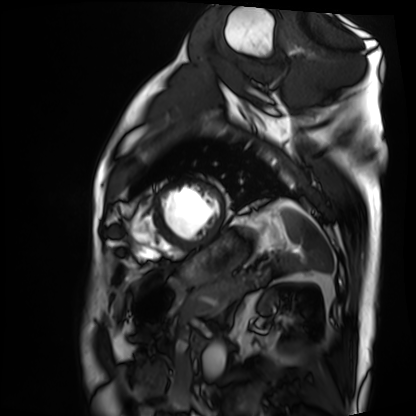
Case summary: Cardiac MRI. Subject group: patient.